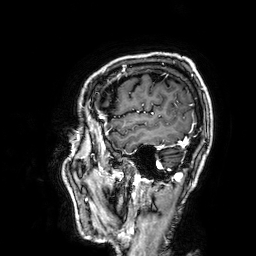
3 Tesla brain MRI. Series: 3D T1-weighted. Study: ring-enhancing brain masses.